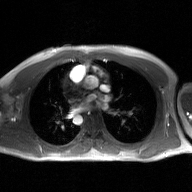
modality — 2D phase-contrast cine MRI of the ascending aorta, GAN super-resolution reconstruction